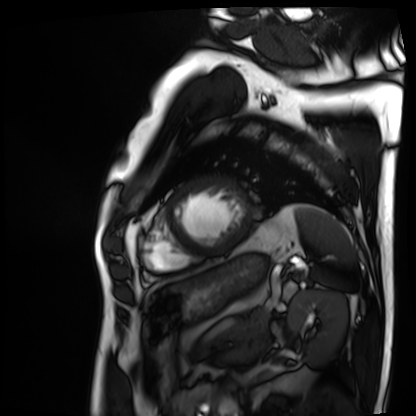
| field | value |
|---|---|
| modality | cardiac MRI |
| subject group | patient |